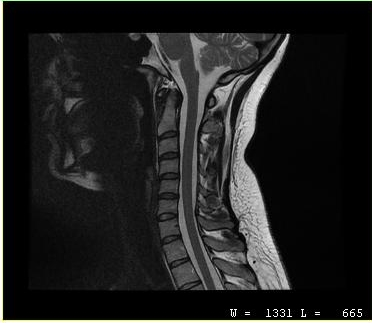
MRI of the cervical spine.
Study: cervical spondylosis.